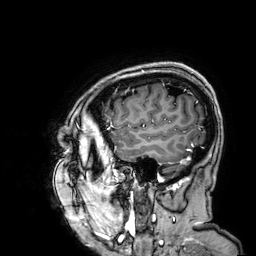
modality = 3 Tesla brain MRI | study = ring-enhancing brain masses.